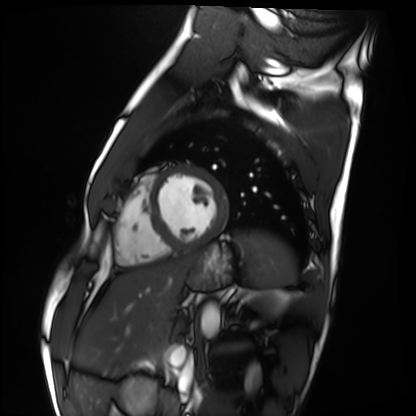
Cardiac MRI.
Subject group: healthy volunteer.